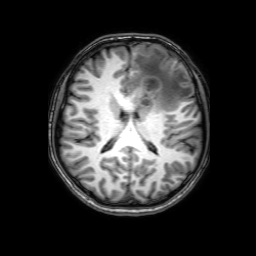
  modality:
    type: brain MRI
    field_strength: 3T
  series: 3D T1-weighted with SENSE
  study_topic: ring-enhancing brain masses